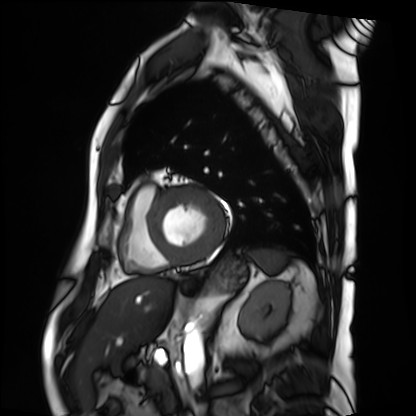
Summary: Cardiac MRI. Subject group: patient.